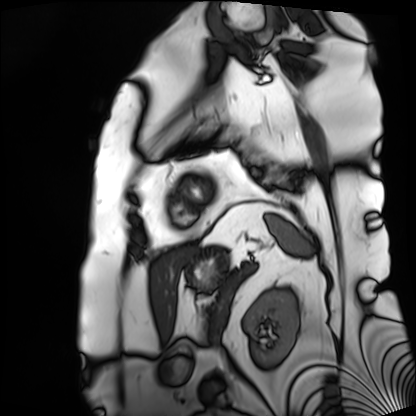
Q: What kind of scan is this?
A: Cardiac MRI.
Subject group: patient.